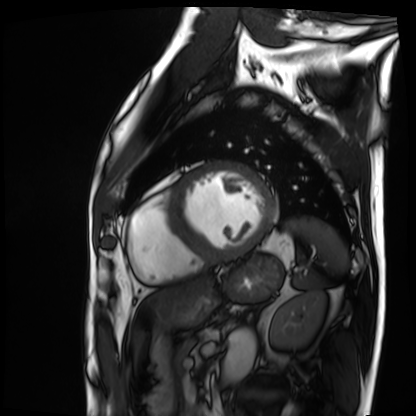
modality = cardiac MRI
subject group = patient